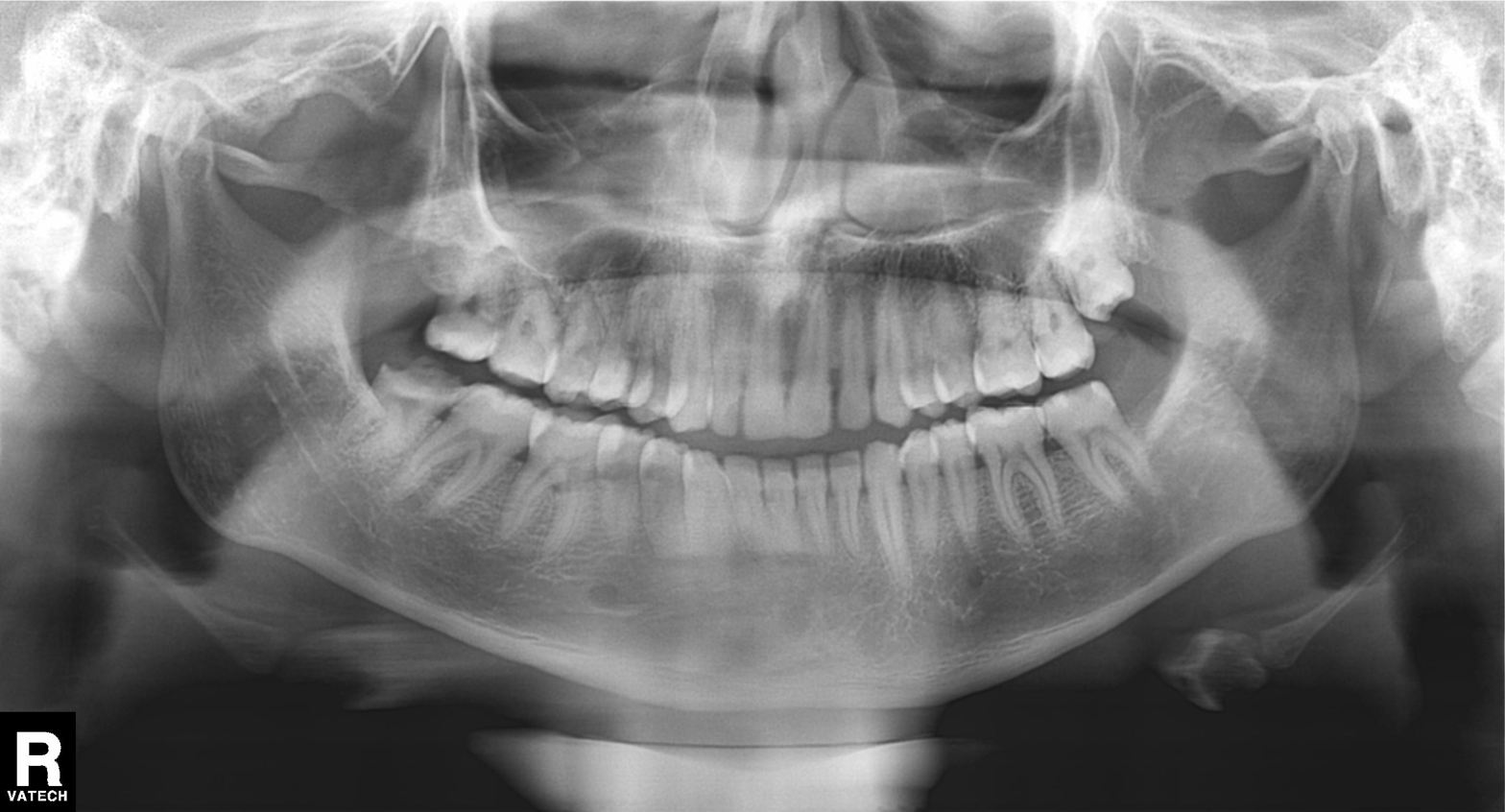
Clinical context: Panoramic dental radiograph (orthopantomogram).
Impression: Tooth impaction.